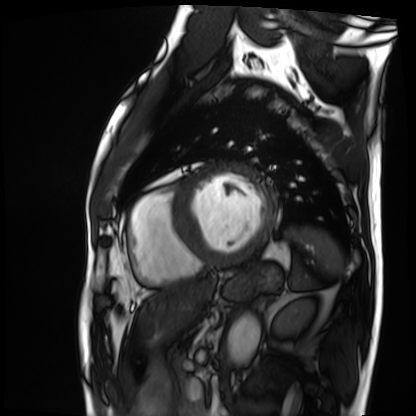
modality: cardiac MRI; subject group: patient.